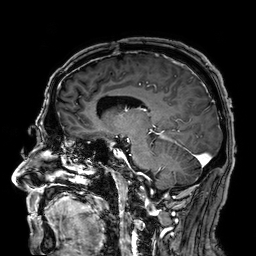
Summary: 3 Tesla brain MRI. Study: ring-enhancing brain masses.